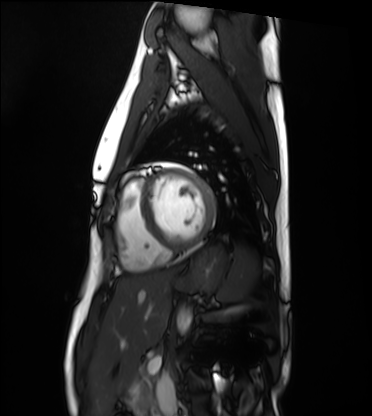
Case:
– modality: cardiac MRI
– subject group: healthy volunteer